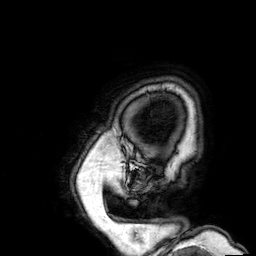
3 Tesla brain MRI. Series: 3D T1-weighted. Study: ring-enhancing brain masses.